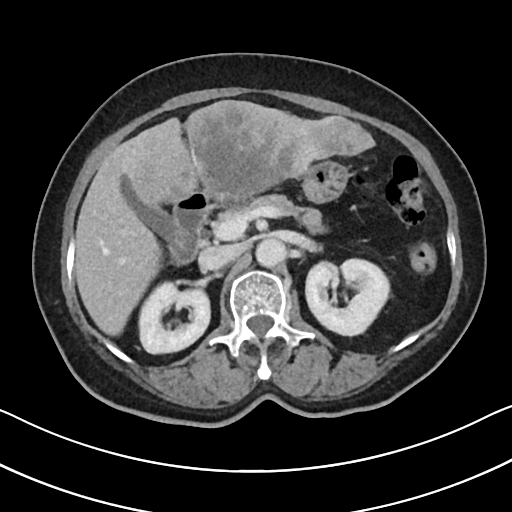
modality — multiphase abdominal CT, liver, portal venous phase
patient — female, age 67
history — cirrhosis, prior chemotherapy